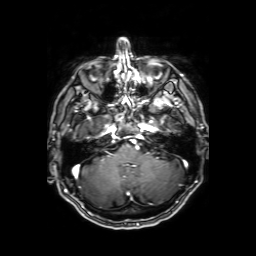
Q: What kind of scan is this?
A: 3 Tesla brain MRI.
Q: Series?
A: Axial T1-weighted fusion image.
Study: ring-enhancing brain masses.